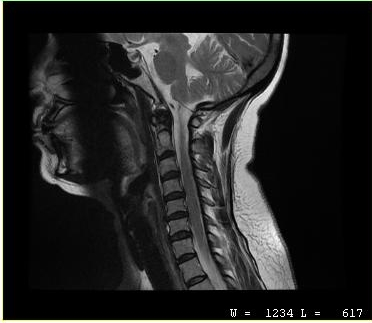
modality = MRI of the cervical spine | study = cervical spondylosis.